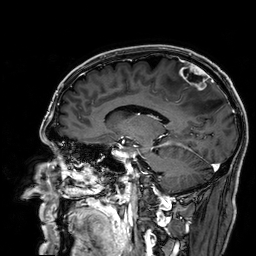
  modality:
    type: brain MRI
    field_strength: 3T
  series: 3D T1-weighted
  study_topic: ring-enhancing brain masses